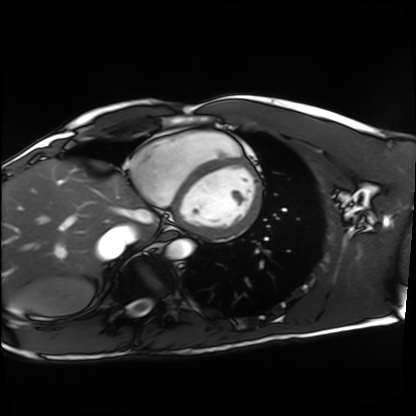
Cardiac MRI. Subject group: healthy volunteer.